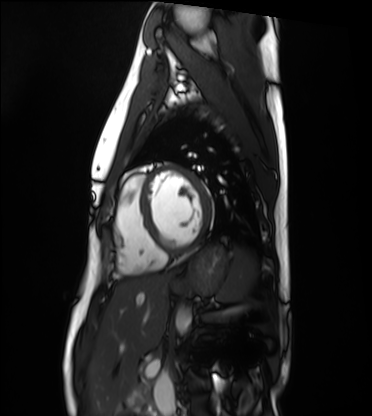
  modality: cardiac MRI
  cohort: healthy volunteer